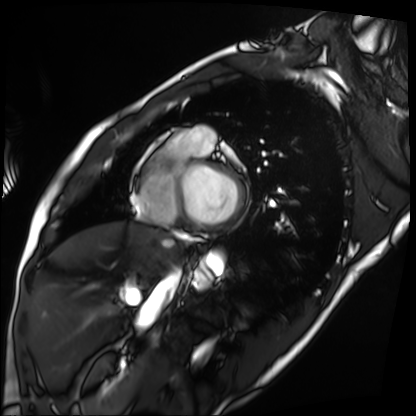
modality: cardiac MRI
subject group: patient